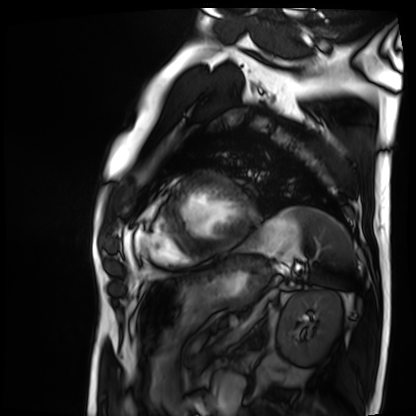
Q: What kind of scan is this?
A: Cardiac MRI.
Subject group: patient.